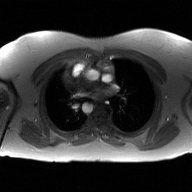
- modality: 2D phase-contrast cine MRI of the ascending aorta, GAN super-resolution reconstruction